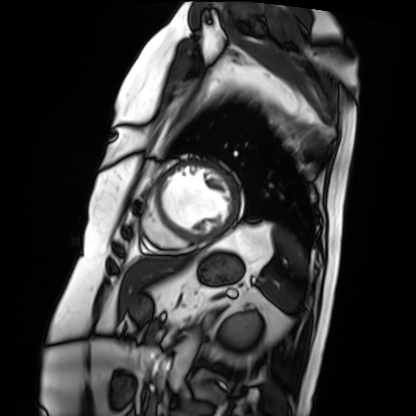
modality — cardiac MRI | subject group — patient.